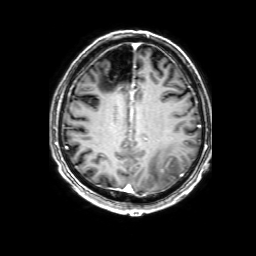
<record>
<modality>
  <type>brain MRI</type>
  <field_strength>3T</field_strength>
</modality>
<series>3D T1-weighted with SENSE</series>
<study_topic>ring-enhancing brain masses</study_topic>
</record>